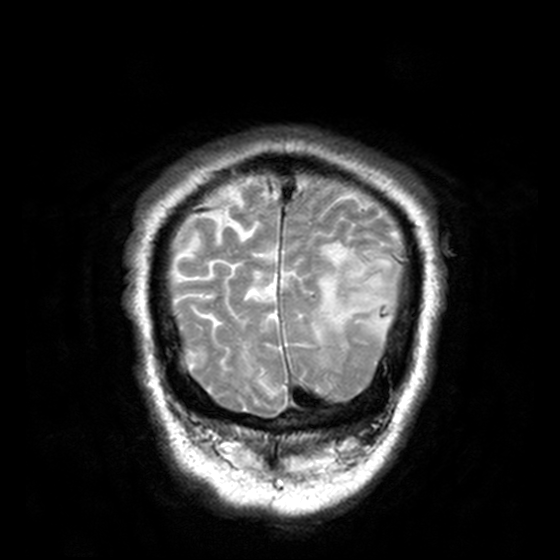
modality=3 Tesla brain MRI
series=T2-weighted turbo spin echo, 3 mm
study=ring-enhancing brain masses